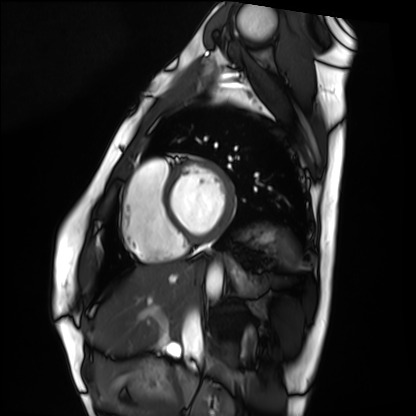
Summary:
Cardiac MRI. Subject group: healthy volunteer.